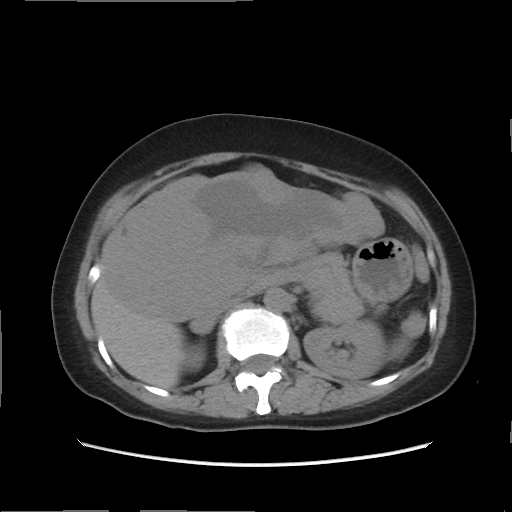
Multiphase abdominal CT, liver, non-contrast phase. Patient: female, age 49.